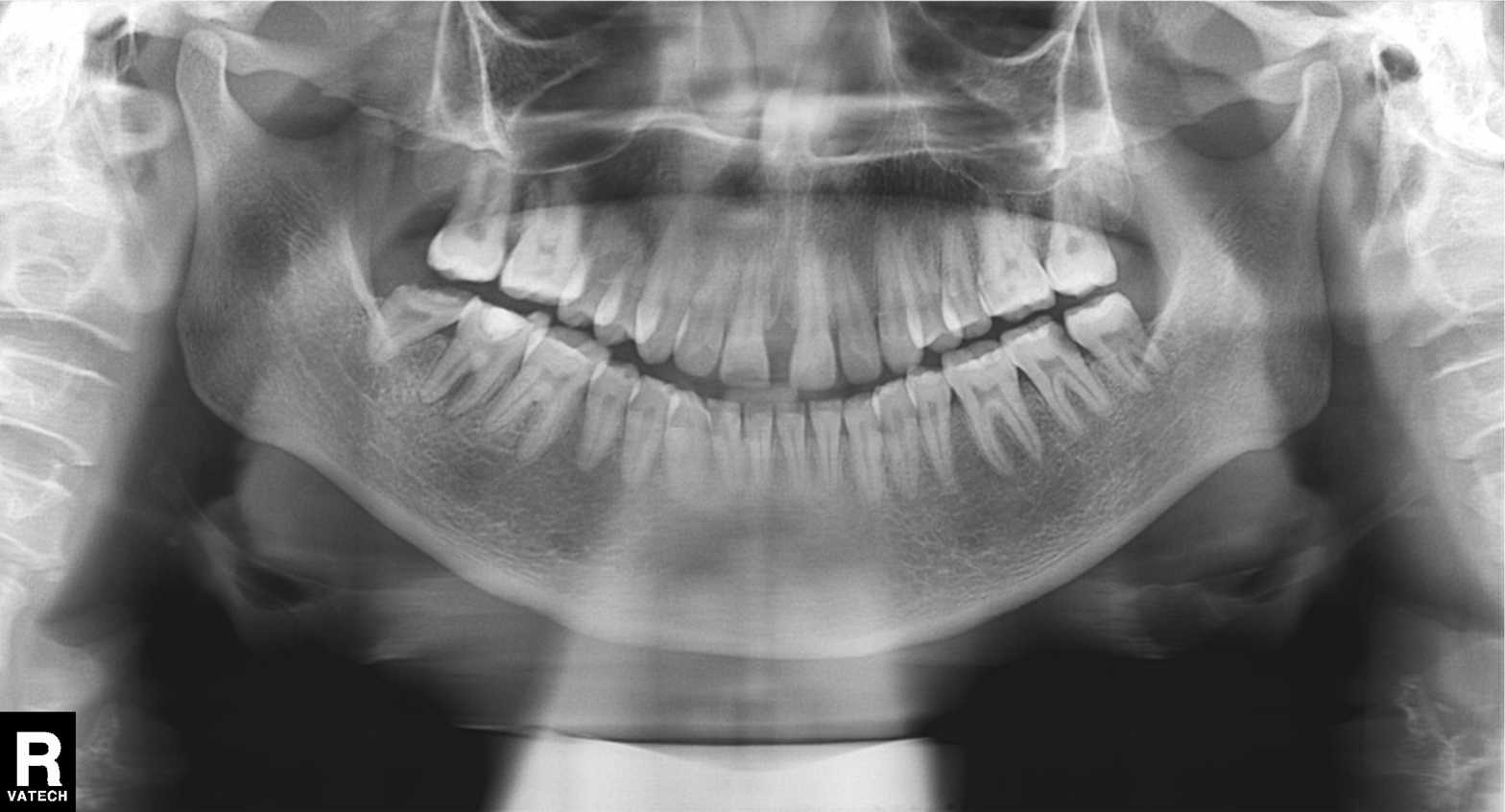
Q: What kind of scan is this?
A: Panoramic dental radiograph (orthopantomogram).
Q: What is the radiographic finding?
A: Alveolar bone loss.